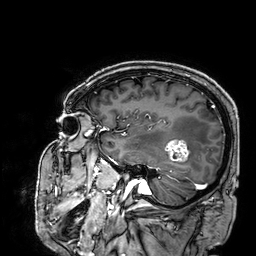
modality: 3 Tesla brain MRI
series: 3D T1-weighted
study: ring-enhancing brain masses